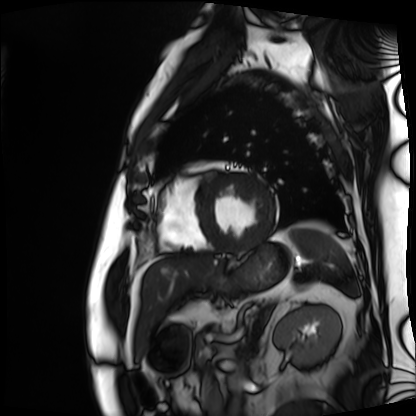
Case summary:
Cardiac MRI. Subject group: patient.